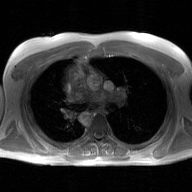
2D phase-contrast cine MRI of the ascending aorta, GAN super-resolution reconstruction.